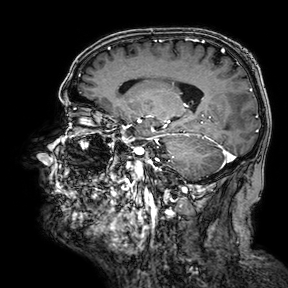
Summary:
3 Tesla brain MRI. Series: 3D T1-weighted turbo field echo with SENSE. Study: ring-enhancing brain masses.